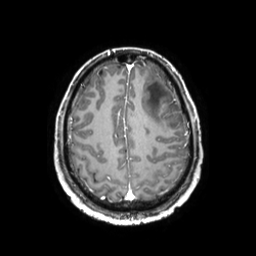
<scan>
<modality>
  <type>brain MRI</type>
  <field_strength>3T</field_strength>
</modality>
<series>3D T1-weighted TFE with SENSE</series>
<study_topic>ring-enhancing brain masses</study_topic>
</scan>